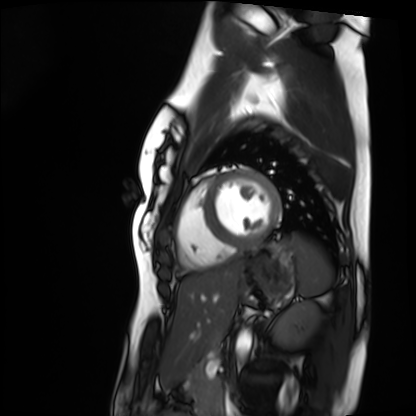
Cardiac MRI. Subject group: healthy volunteer.